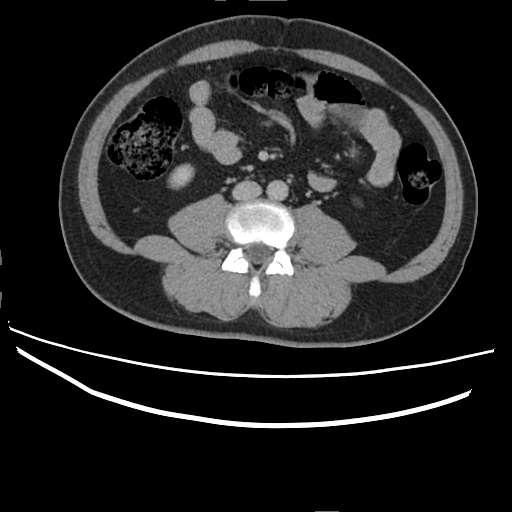
modality = multiphase abdominal CT, liver, delayed phase
patient = male, age 45
history = prior chemotherapy